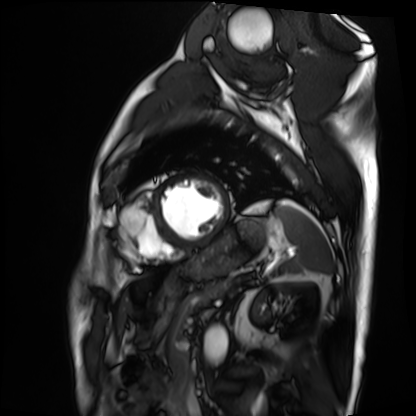
Cardiac MRI.
Subject group: patient.